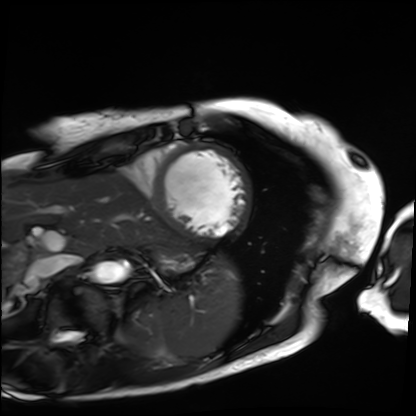
Summary:
Cardiac MRI. Subject group: patient.